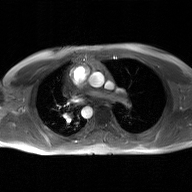
Clinical context:
2D phase-contrast cine MRI of the ascending aorta, GAN super-resolution reconstruction.